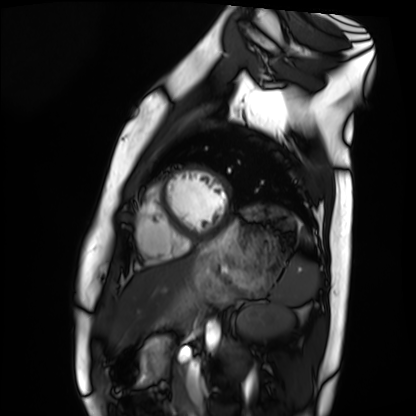
Case:
– modality — cardiac MRI
– subject group — healthy volunteer